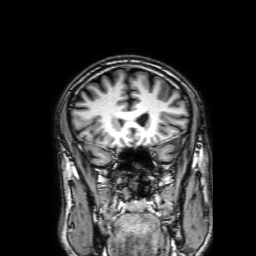
Summary: 3 Tesla brain MRI. Series: 3D T1-weighted with SENSE. Study: ring-enhancing brain masses.